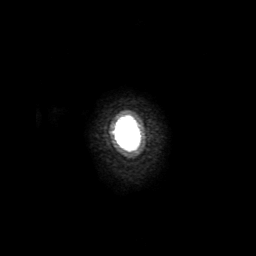
3 Tesla brain MRI. Series: 3D T1-weighted with SENSE. Study: ring-enhancing brain masses.